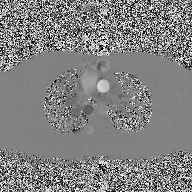
Summary:
2D phase-contrast cine MRI of the ascending aorta, high-resolution GRAPPA acquisition.